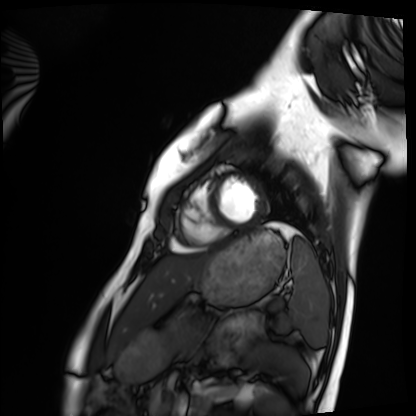
{
  "modality": "cardiac MRI",
  "cohort": "healthy volunteer"
}